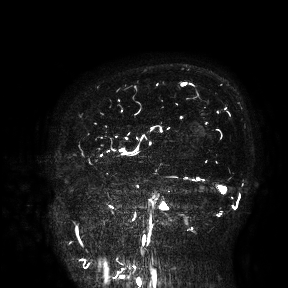
Q: What kind of scan is this?
A: 3 Tesla brain MRI.
Study: ring-enhancing brain masses.